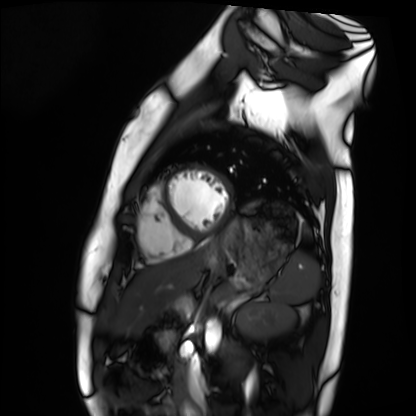
• modality · cardiac MRI
• subject group · healthy volunteer